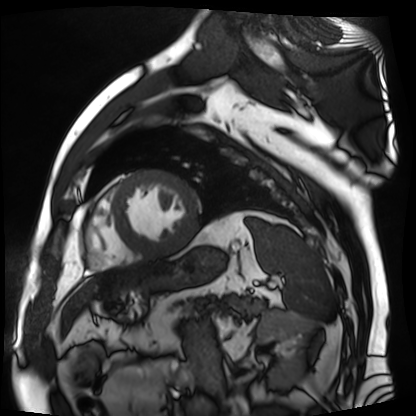
modality=cardiac MR image of the myocardium
subject cohort=cardiac patient